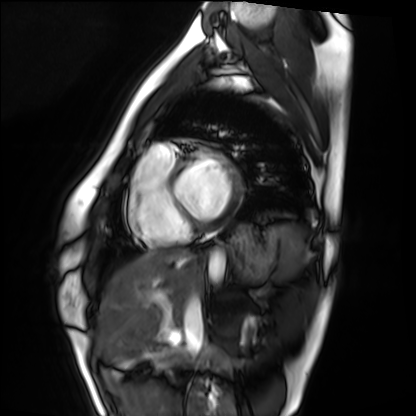
Summary: Cardiac MRI. Subject group: healthy volunteer.